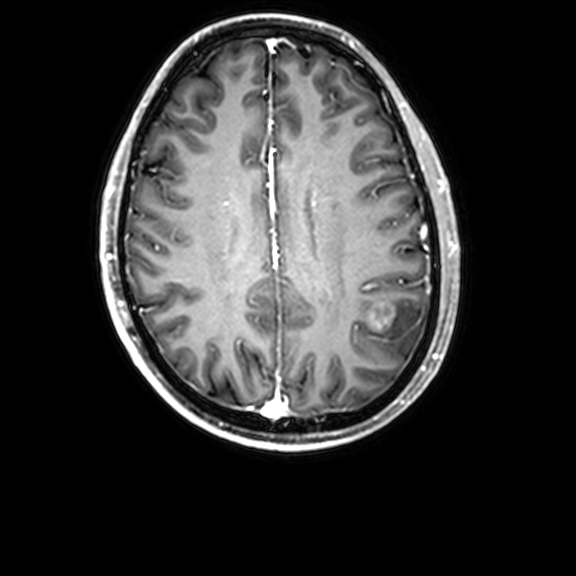
3 Tesla brain MRI. Series: 3D T1-weighted with CLEAR. Study: ring-enhancing brain masses.